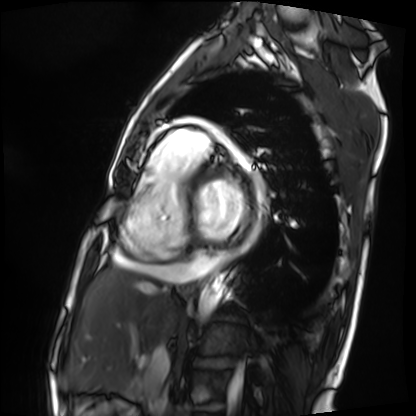
Cardiac MRI. Subject group: patient.